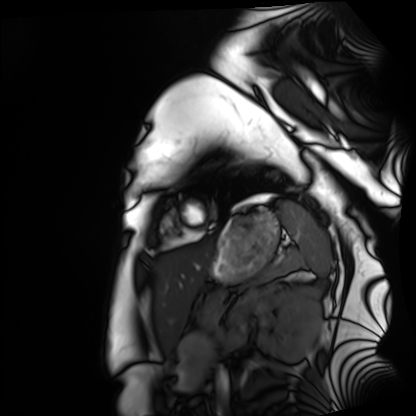
Cardiac MRI.
Subject group: healthy volunteer.